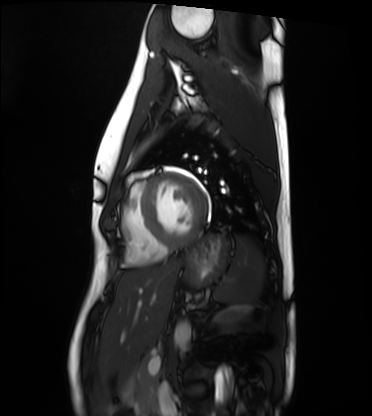
Cardiac MRI. Subject group: healthy volunteer.